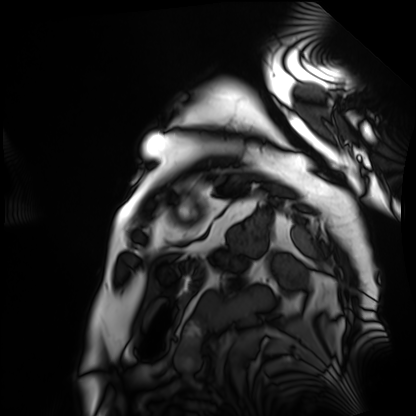
{"modality": "cardiac MRI", "cohort": "patient"}